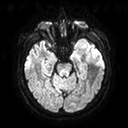
modality: 3 Tesla brain MRI
series: diffusion tensor imaging (medium iso)
study: ring-enhancing brain masses